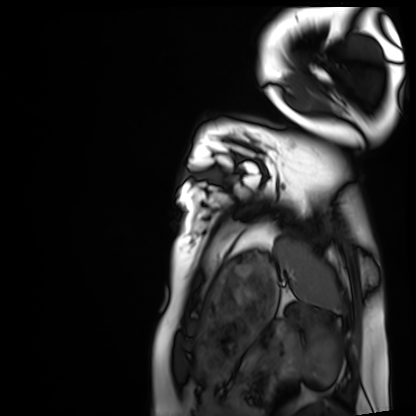
Q: What kind of scan is this?
A: Cardiac MRI.
Subject group: healthy volunteer.